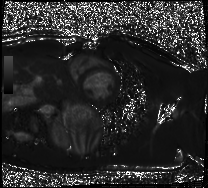
Cardiac MRI. Subject group: healthy volunteer.